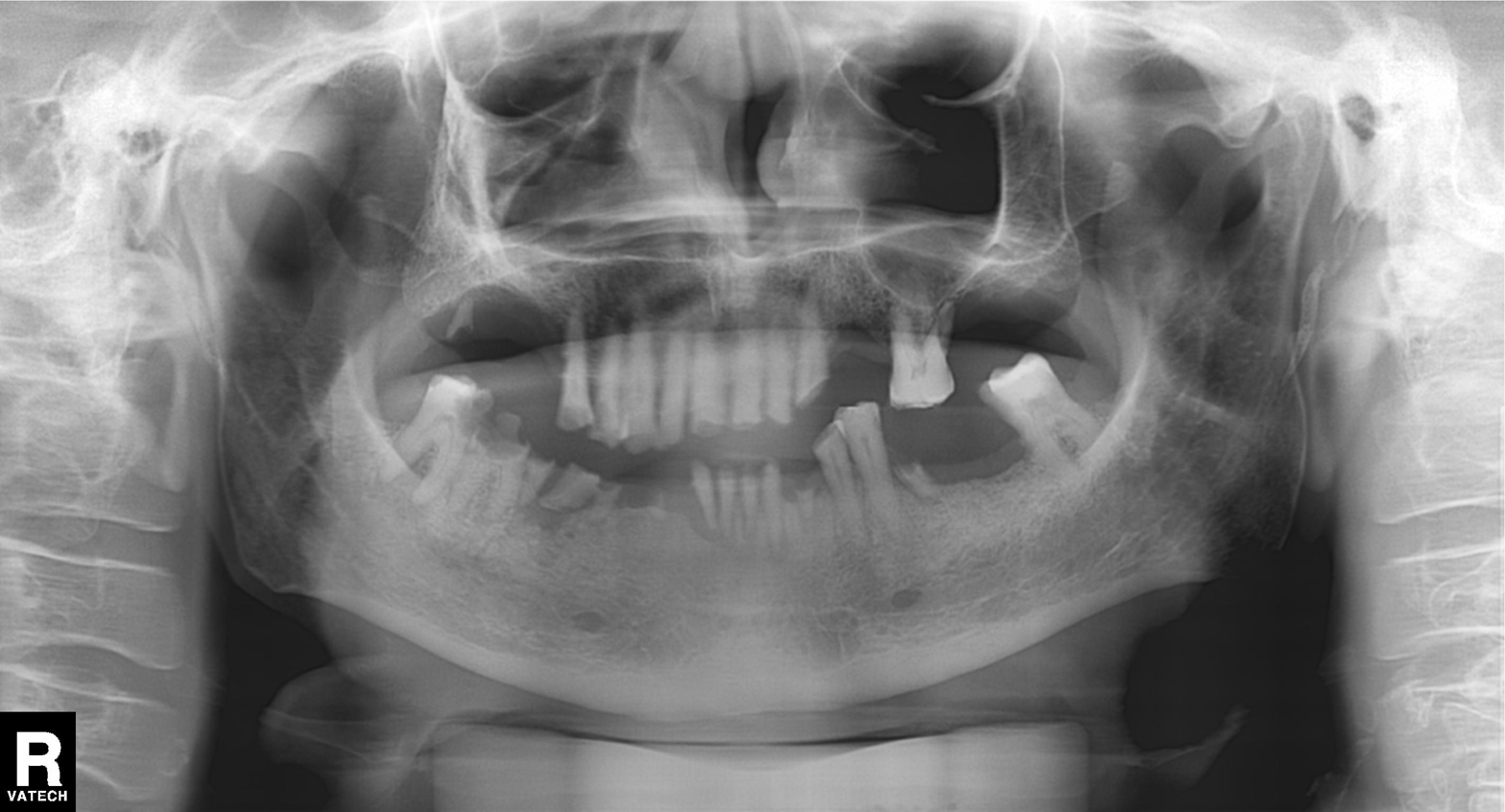
Panoramic dental radiograph (orthopantomogram).
Finding: alveolar bone loss.